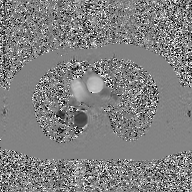
• modality: 2D phase-contrast cine MRI of the ascending aorta, GAN super-resolution reconstruction